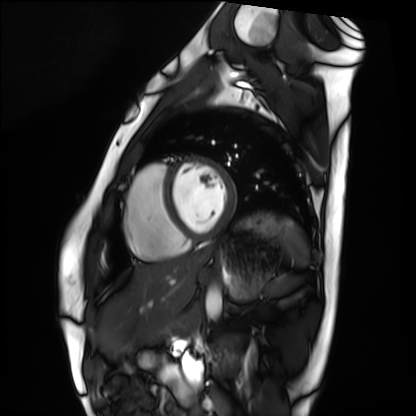
modality: cardiac MRI; subject group: healthy volunteer.